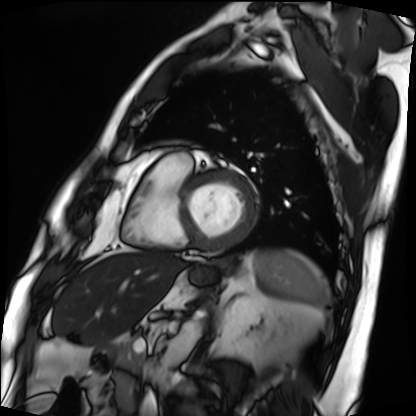
{"modality": "cardiac MRI", "cohort": "patient"}